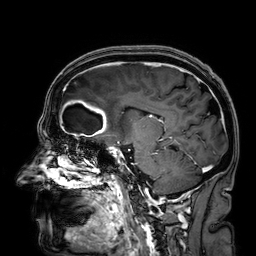
3 Tesla brain MRI.
Series: 3D T1-weighted.
Study: ring-enhancing brain masses.